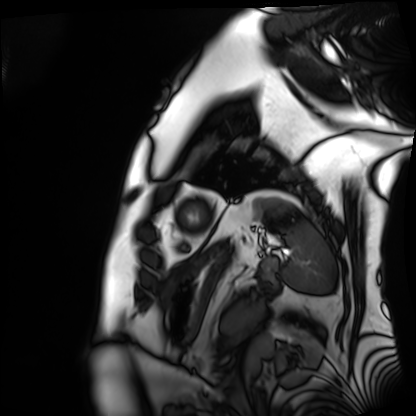
Cardiac MRI.
Subject group: patient.